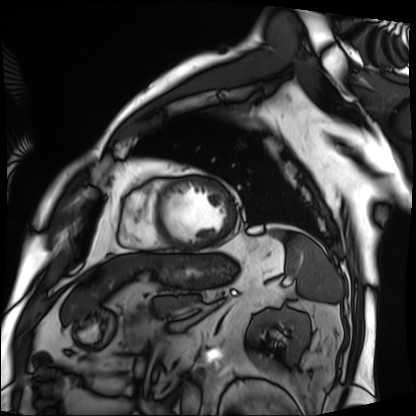
| field | value |
|---|---|
| modality | cardiac MRI |
| subject group | patient |